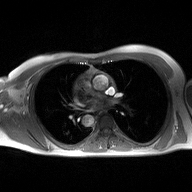
modality = 2D phase-contrast cine MRI of the ascending aorta